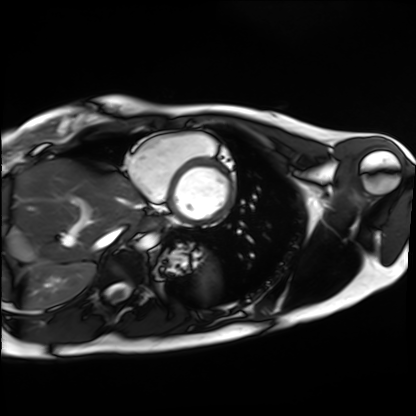
Cardiac MRI. Subject group: healthy volunteer.